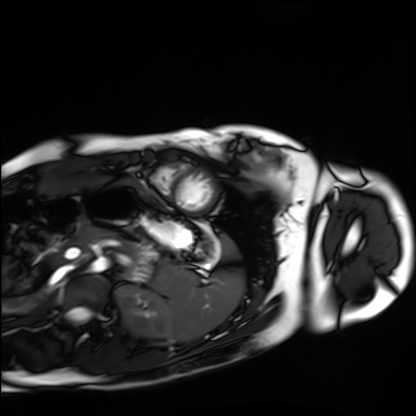
| field | value |
|---|---|
| modality | cardiac MRI |
| subject group | healthy volunteer |